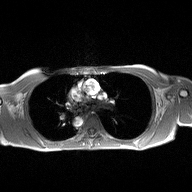
2D phase-contrast cine MRI of the ascending aorta, high-resolution GRAPPA acquisition.